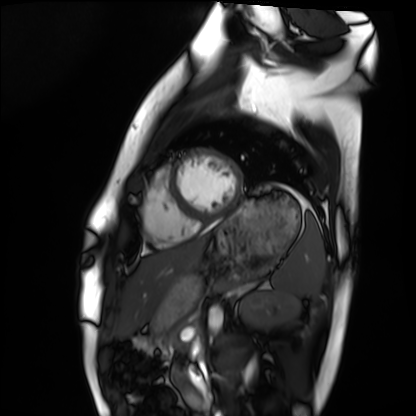
modality: cardiac MRI
subject group: healthy volunteer